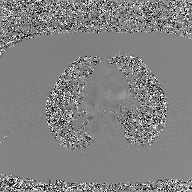
2D phase-contrast cine MRI of the ascending aorta, GAN super-resolution reconstruction.